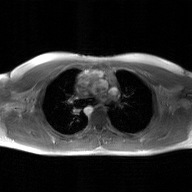
2D phase-contrast cine MRI of the ascending aorta, GAN super-resolution reconstruction.